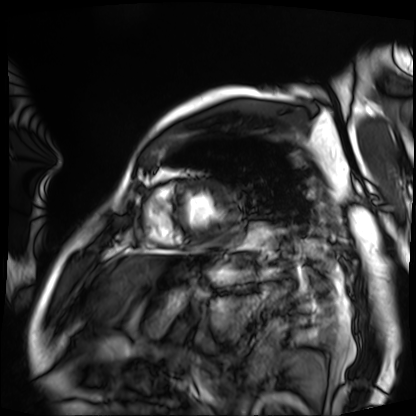
Cardiac MRI. Subject group: patient.